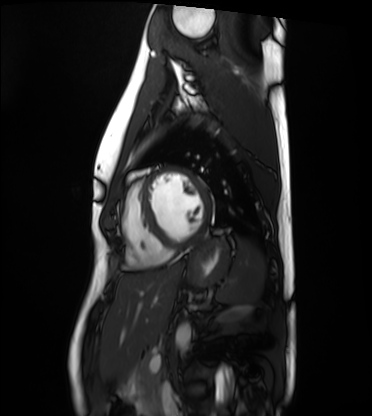
Cardiac MRI. Subject group: healthy volunteer.